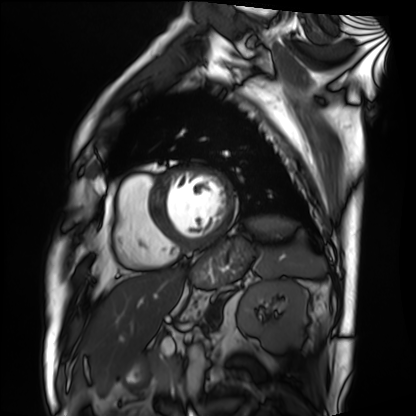
{"modality": "cardiac MRI", "cohort": "patient"}